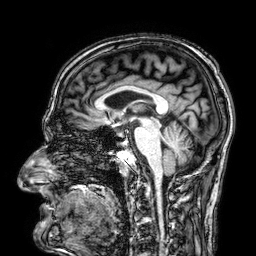
3 Tesla brain MRI.
Series: 3D T1-weighted.
Study: ring-enhancing brain masses.